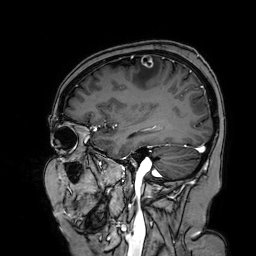
3 Tesla brain MRI.
Series: 3D T1-weighted turbo field echo with SENSE.
Study: ring-enhancing brain masses.